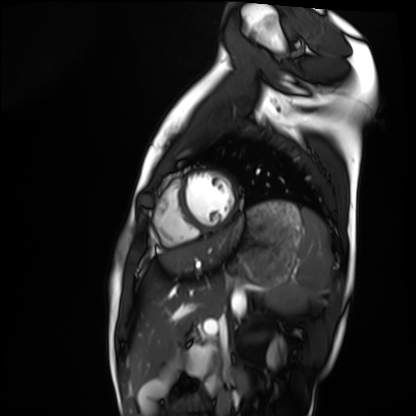
Q: What kind of scan is this?
A: Cardiac MRI.
Subject group: healthy volunteer.